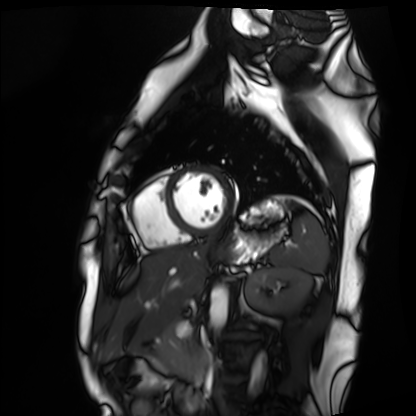
Cardiac MRI.
Subject group: healthy volunteer.